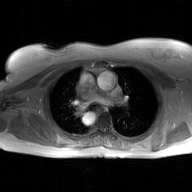
modality=2D phase-contrast cine MRI of the ascending aorta, GAN super-resolution reconstruction